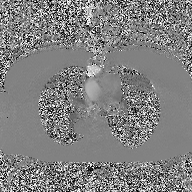
{"modality": {"type": "2D phase-contrast cine MRI", "region": "ascending aorta", "reconstruction": "high-resolution GRAPPA acquisition"}}